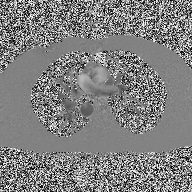
Case summary: 2D phase-contrast cine MRI of the ascending aorta, high-resolution GRAPPA acquisition.